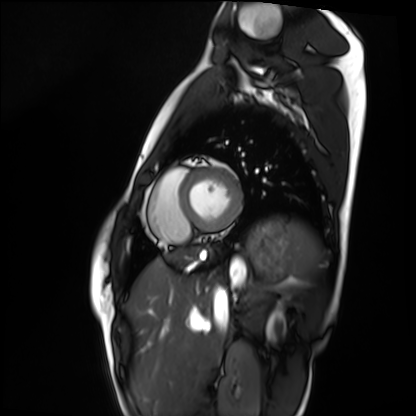
modality — cardiac MRI | subject group — healthy volunteer.